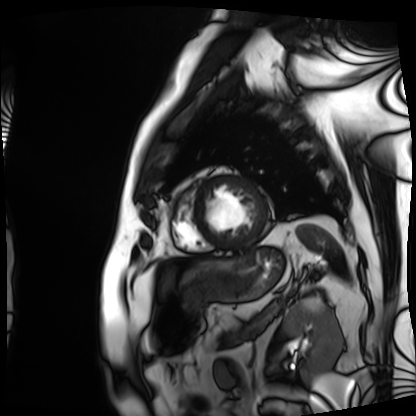
Cardiac MRI.
Subject group: patient.